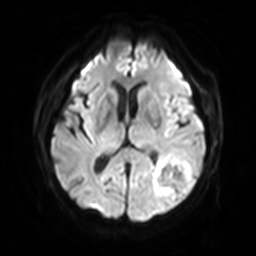
Q: What kind of scan is this?
A: 3 Tesla brain MRI.
Q: Series?
A: Diffusion-weighted imaging with SENSE (WIP).
Study: ring-enhancing brain masses.